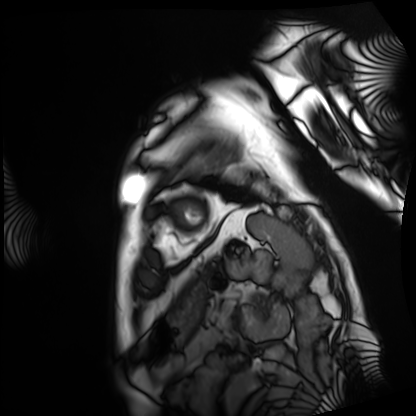
Cardiac MRI. Subject group: patient.